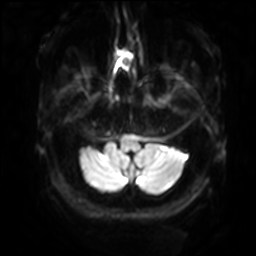
modality: 3 Tesla brain MRI; series: diffusion-weighted imaging with SENSE (WIP); study: ring-enhancing brain masses.